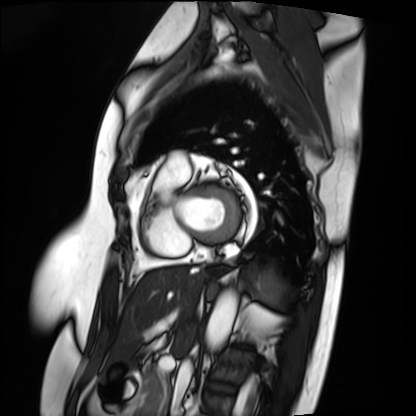
modality = cardiac MRI | subject group = patient.